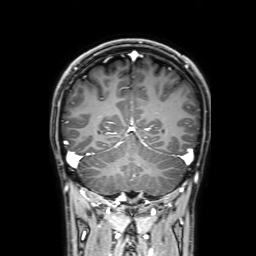
3 Tesla brain MRI.
Series: 3D T1-weighted with SENSE.
Study: ring-enhancing brain masses.